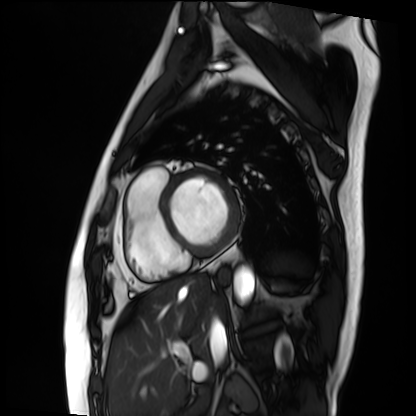
modality: cardiac MRI
subject group: patient